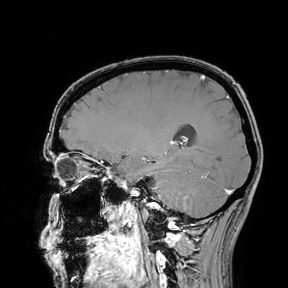
Summary: 3 Tesla brain MRI. Study: ring-enhancing brain masses.